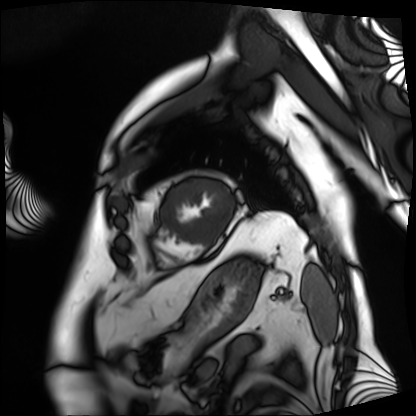
Cardiac MRI. Subject group: patient.